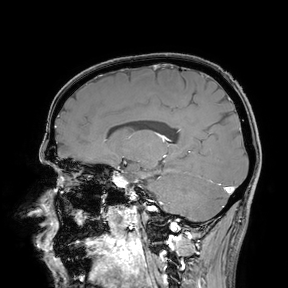
Q: What kind of scan is this?
A: 3 Tesla brain MRI.
Study: ring-enhancing brain masses.